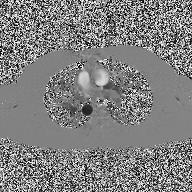
2D phase-contrast cine MRI of the ascending aorta, high-resolution GRAPPA acquisition.